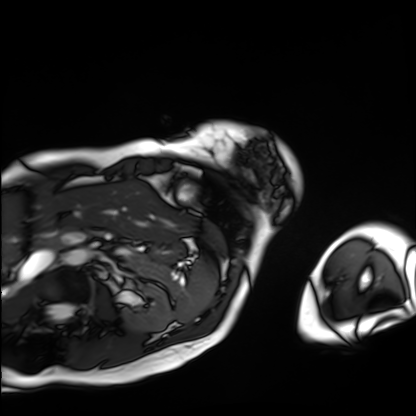
modality: cardiac MRI
subject group: patient